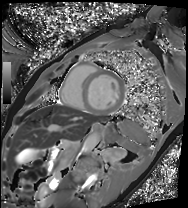
Clinical context:
Cardiac MRI. Subject group: patient.